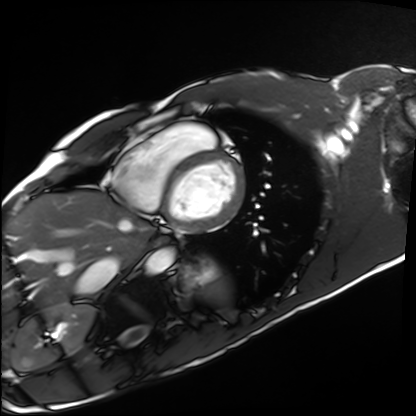
• modality · cardiac MRI
• subject group · healthy volunteer